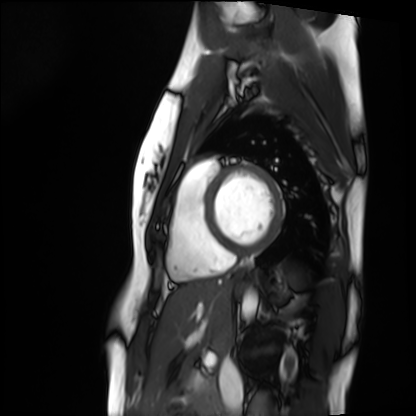
Cardiac MRI.
Subject group: healthy volunteer.